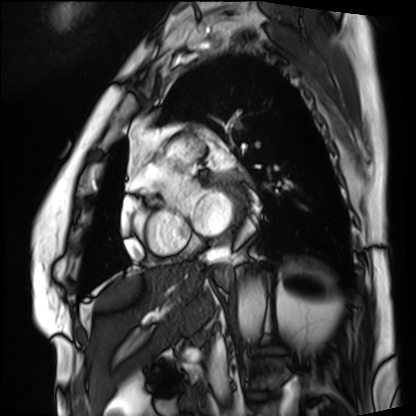
modality: cardiac MRI | subject group: patient.